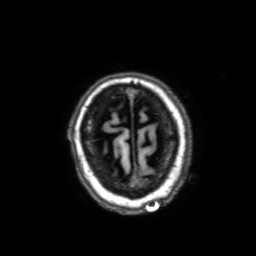
modality — 3 Tesla brain MRI; series — 3D T1-weighted with SENSE; study — ring-enhancing brain masses.